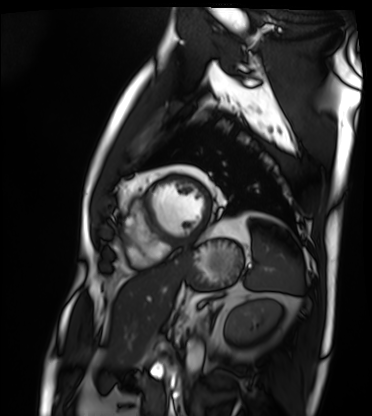
Case summary: Cardiac MRI. Subject group: patient.